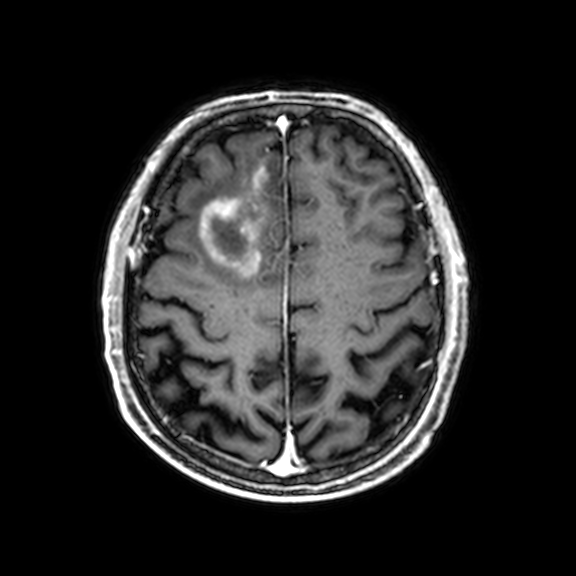
3 Tesla brain MRI.
Series: 3D T1-weighted with CLEAR.
Study: ring-enhancing brain masses.